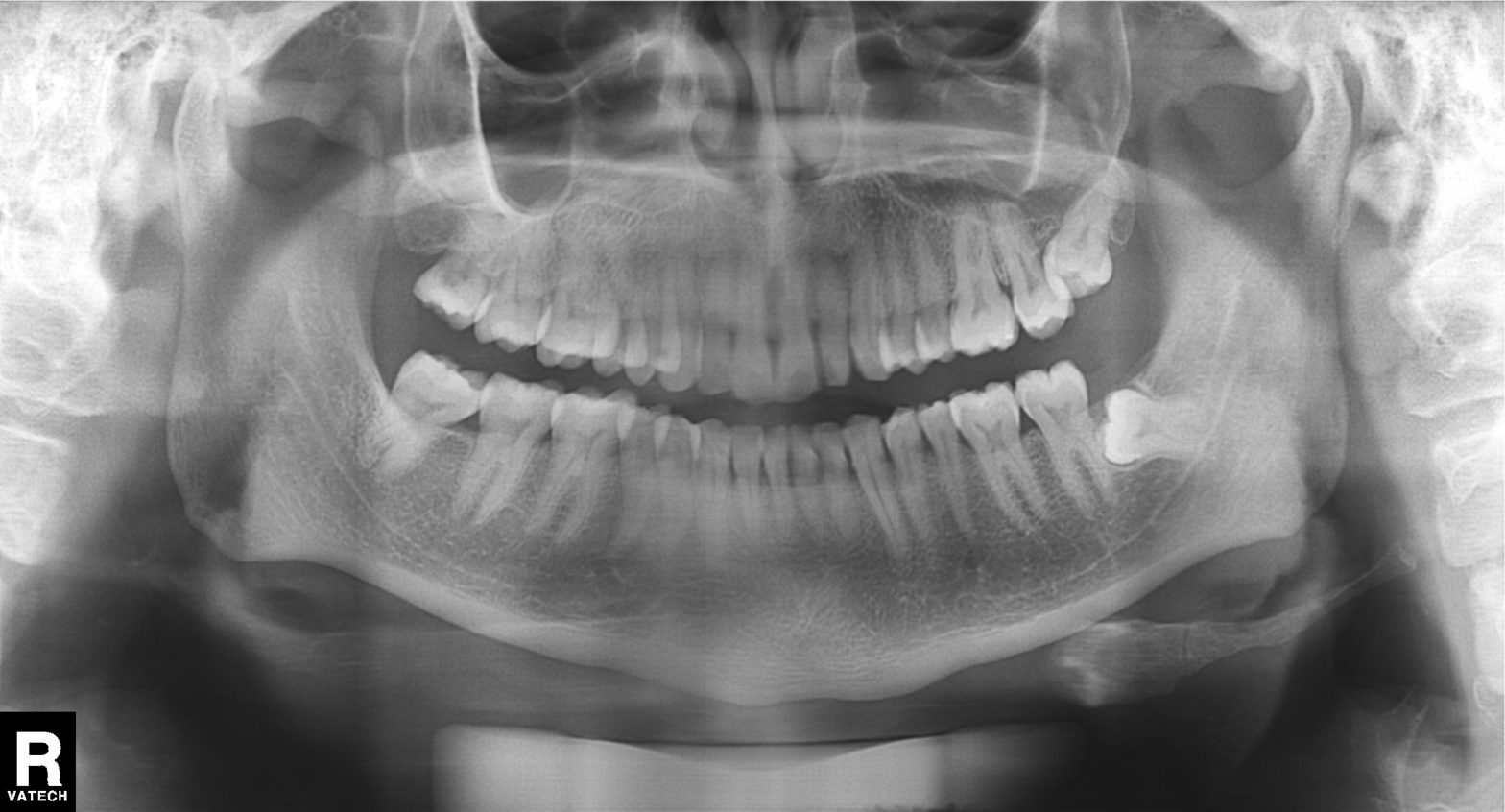
  modality: panoramic dental radiograph (orthopantomogram)
  finding: dental caries (cavities)